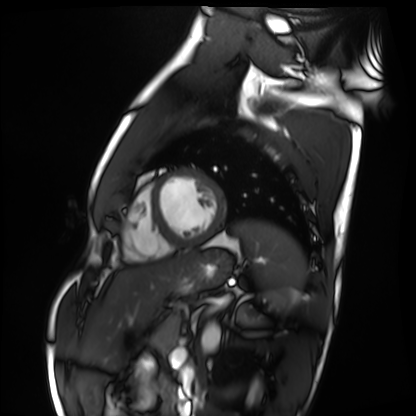
Summary:
Cardiac MRI. Subject group: healthy volunteer.